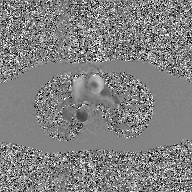
Case:
• modality — 2D phase-contrast cine MRI of the ascending aorta, GAN super-resolution reconstruction